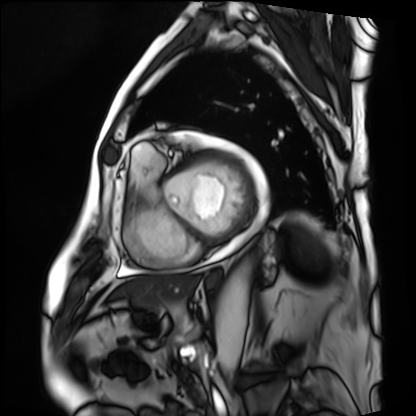
Clinical context: Cardiac MRI. Subject group: patient.